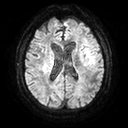
<study>
<modality>
  <type>brain MRI</type>
  <field_strength>3T</field_strength>
</modality>
<series>diffusion tensor imaging (medium iso)</series>
<study_topic>ring-enhancing brain masses</study_topic>
</study>